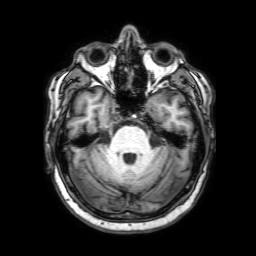
modality=3 Tesla brain MRI
series=3D T1-weighted with SENSE
study=ring-enhancing brain masses